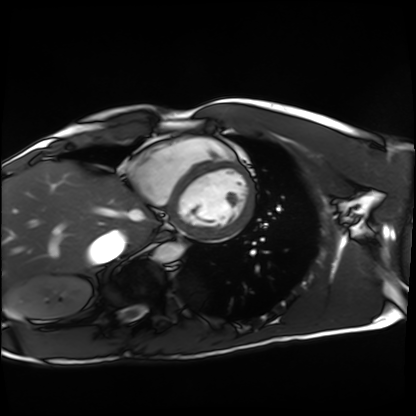
Summary: Cardiac MRI. Subject group: healthy volunteer.